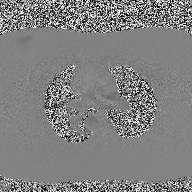
modality:
  type: 2D phase-contrast cine MRI
  region: ascending aorta
  reconstruction: high-resolution GRAPPA acquisition